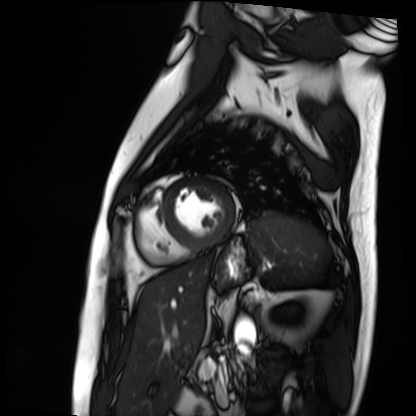
modality: cardiac MRI
cohort: patient